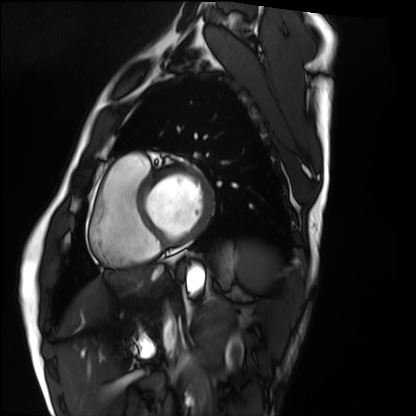
Q: What kind of scan is this?
A: Cardiac MRI.
Subject group: healthy volunteer.